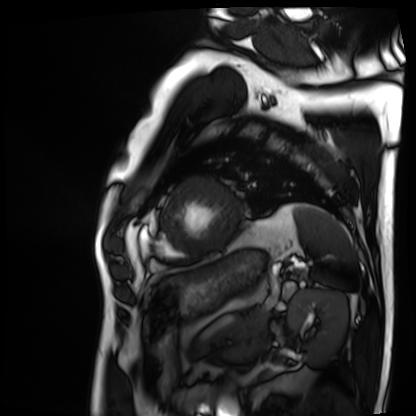
Cardiac MRI. Subject group: patient.